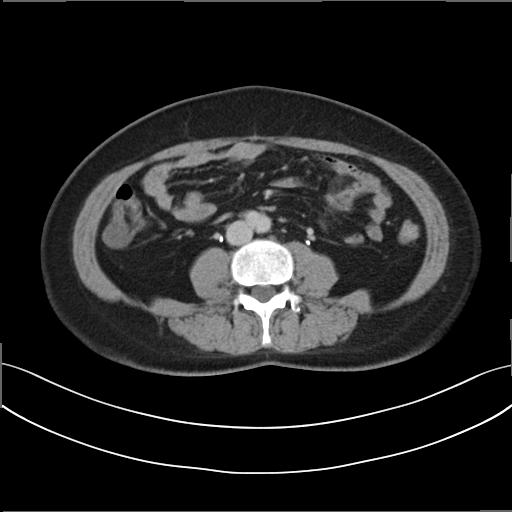
Multiphase abdominal CT, liver, delayed phase. Patient: female, age 50. History: prior chemotherapy.